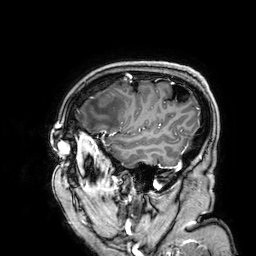
3 Tesla brain MRI.
Series: 3D T1-weighted.
Study: ring-enhancing brain masses.